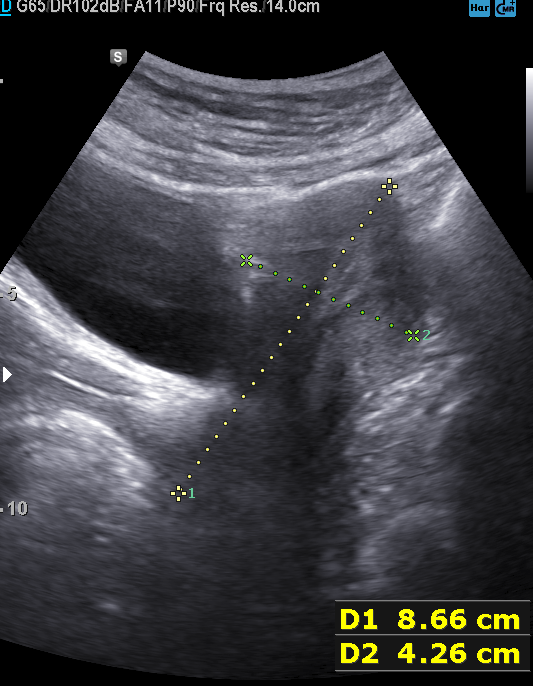
Genitourinary ultrasound.